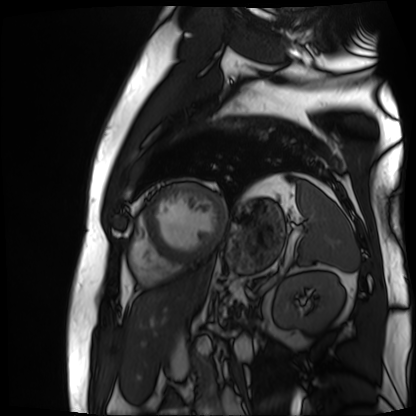
modality — cardiac MR image of the myocardium; subject cohort — cardiac patient.